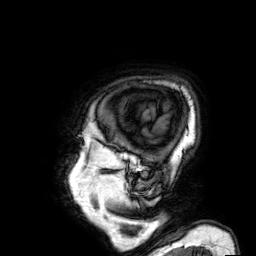
Case summary:
3 Tesla brain MRI. Series: 3D T1-weighted. Study: ring-enhancing brain masses.